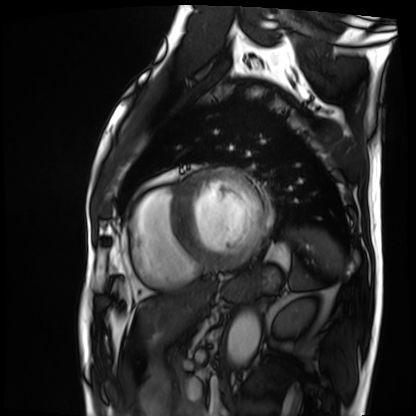
modality: cardiac MRI | subject group: patient.